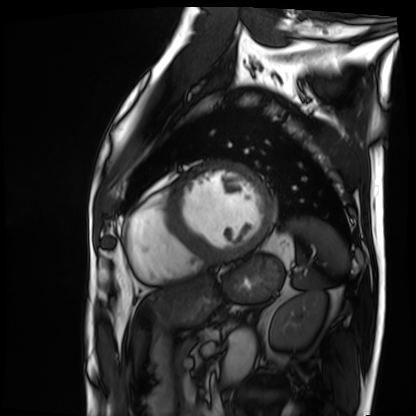
Q: What kind of scan is this?
A: Cardiac MRI.
Subject group: patient.